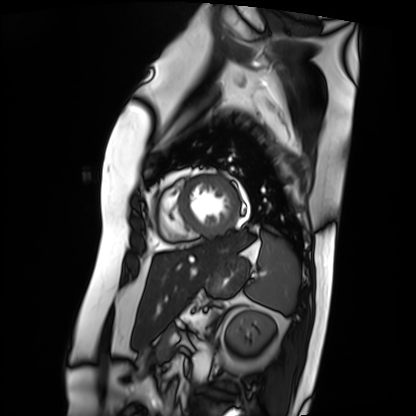
modality=cardiac MRI
subject group=patient